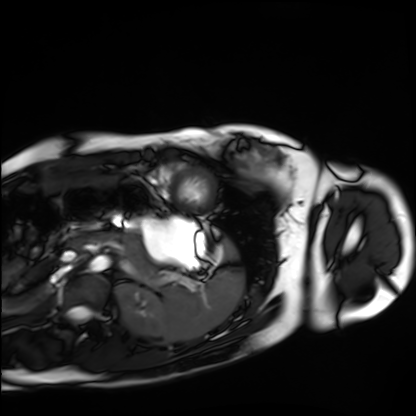
Clinical context: Cardiac MRI. Subject group: healthy volunteer.